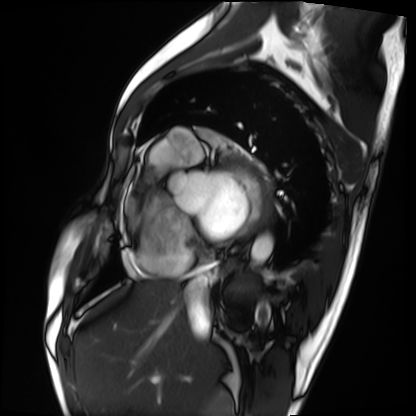
Cardiac MRI. Subject group: patient.